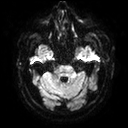
3 Tesla brain MRI. Study: ring-enhancing brain masses.